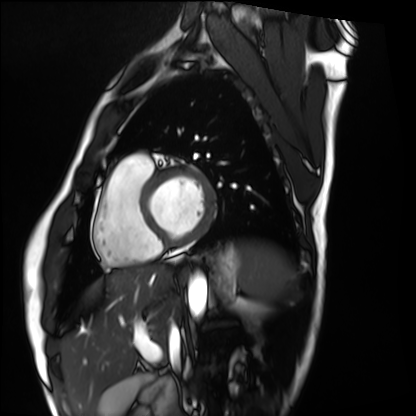
modality: cardiac MRI | subject group: healthy volunteer.